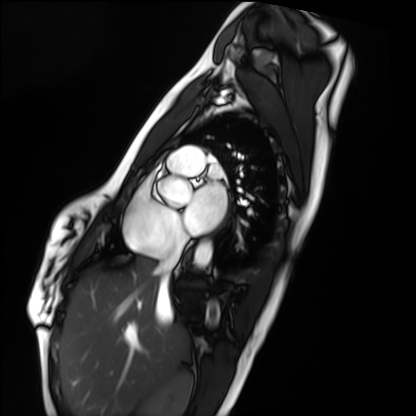
modality: cardiac MRI
cohort: healthy volunteer